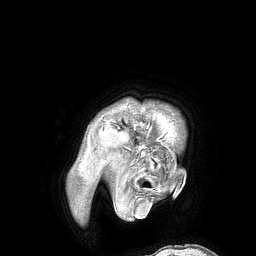
Case:
- modality: 3 Tesla brain MRI
- series: 3D T1-weighted turbo field echo
- study: ring-enhancing brain masses